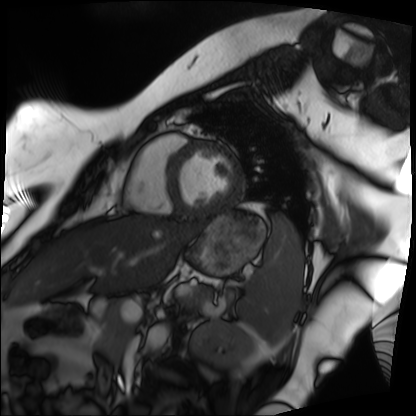
Summary:
Cardiac MRI. Subject group: patient.